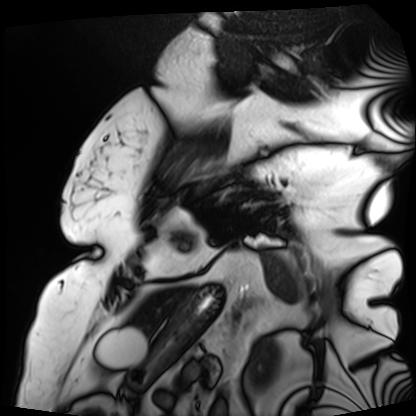
Cardiac MRI. Subject group: patient.